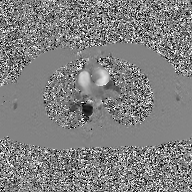
Clinical context:
2D phase-contrast cine MRI of the ascending aorta, GAN super-resolution reconstruction.